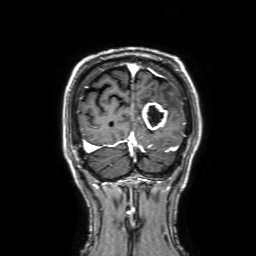
modality: 3 Tesla brain MRI; series: 3D T1-weighted with SENSE; study: ring-enhancing brain masses.